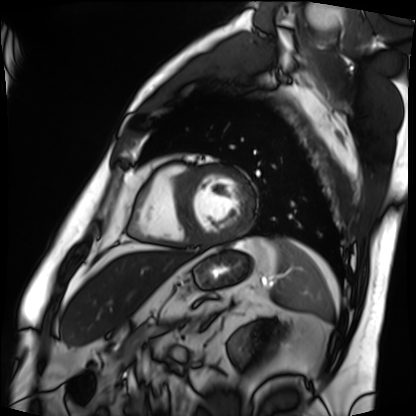
Cardiac MRI. Subject group: patient.